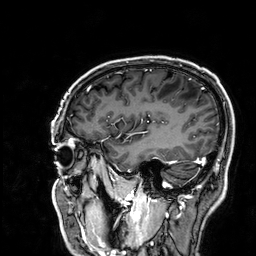
modality:
  type: brain MRI
  field_strength: 3T
series: 3D T1-weighted
study_topic: ring-enhancing brain masses